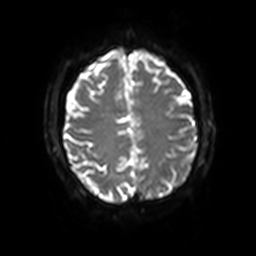
• modality · 3 Tesla brain MRI
• study · ring-enhancing brain masses